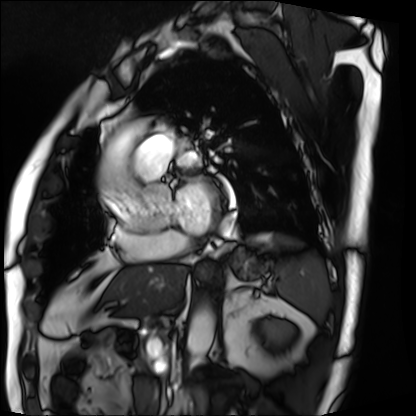
• modality · cardiac MRI
• subject group · patient